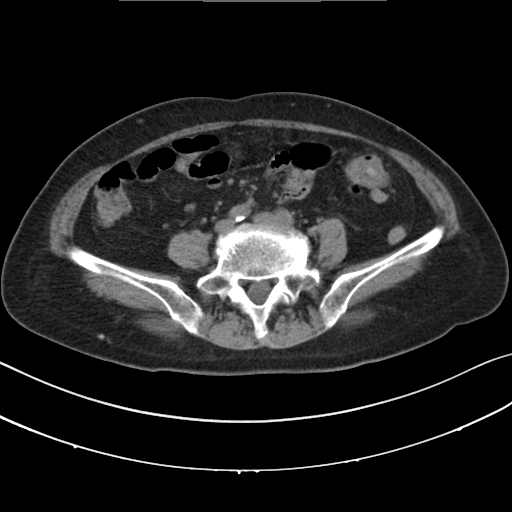
modality=multiphase abdominal CT, liver, non-contrast phase | patient=female, age 75.